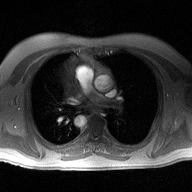
2D phase-contrast cine MRI of the ascending aorta, high-resolution GRAPPA acquisition.